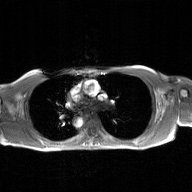
<scan>
  <modality>
    <type>2D phase-contrast cine MRI</type>
    <region>ascending aorta</region>
    <reconstruction>GAN super-resolution reconstruction</reconstruction>
  </modality>
</scan>